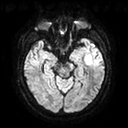
3 Tesla brain MRI. Series: diffusion tensor imaging (medium iso). Study: ring-enhancing brain masses.